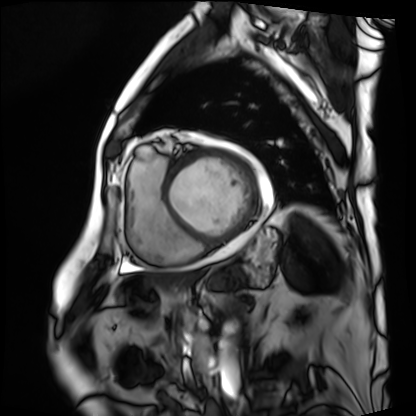
Cardiac MRI. Subject group: patient.